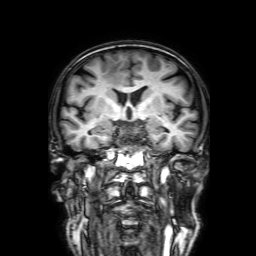
<case>
  <modality>
    <type>brain MRI</type>
    <field_strength>3T</field_strength>
  </modality>
  <series>3D T1-weighted with SENSE</series>
  <study_topic>ring-enhancing brain masses</study_topic>
</case>